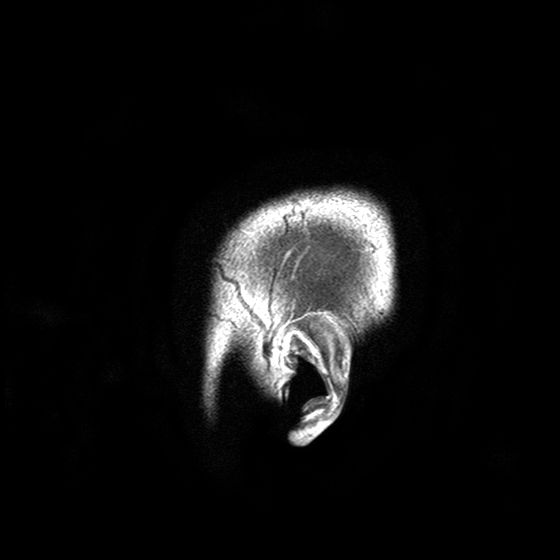
3 Tesla brain MRI. Study: ring-enhancing brain masses.